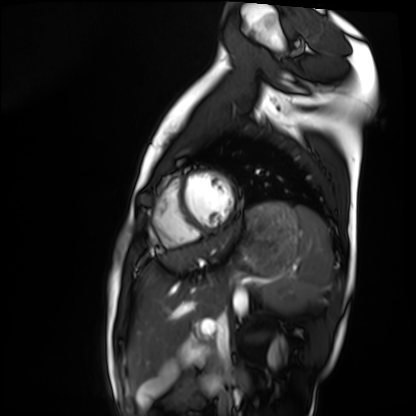
Cardiac MRI. Subject group: healthy volunteer.